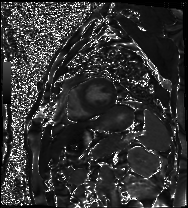
Cardiac MRI. Subject group: patient.